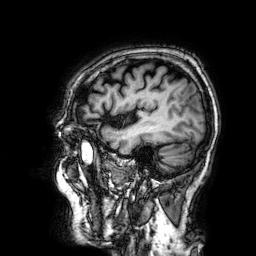
3 Tesla brain MRI.
Series: 3D T1-weighted.
Study: ring-enhancing brain masses.